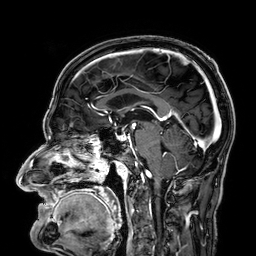
Case:
• modality · 3 Tesla brain MRI
• series · 3D T1-weighted
• study · ring-enhancing brain masses